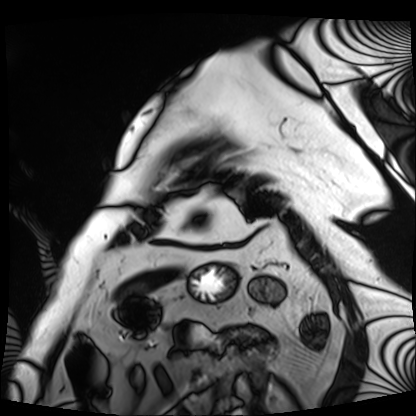
modality = cardiac MRI
subject group = patient